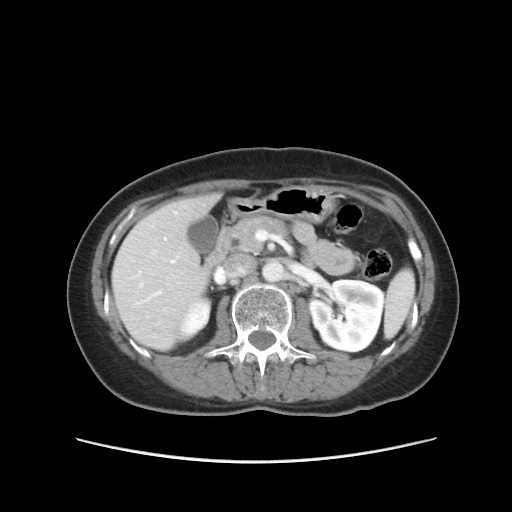
Summary: Multiphase abdominal CT, liver, portal venous phase.